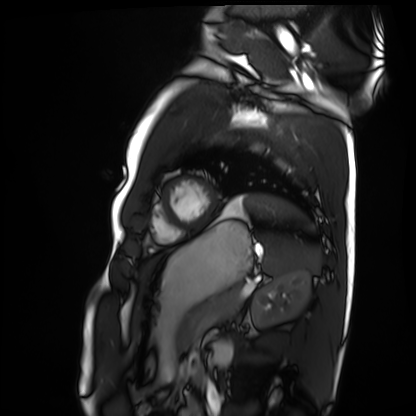
<record>
<modality>cardiac MRI</modality>
<cohort>healthy volunteer</cohort>
</record>